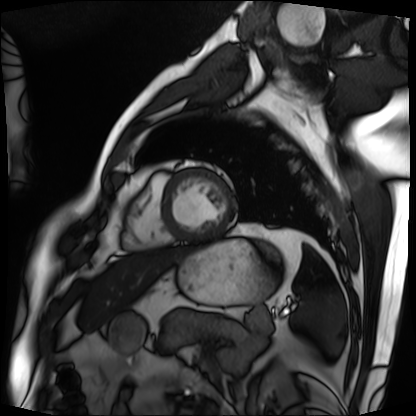
Q: What kind of scan is this?
A: Cardiac MRI.
Subject group: patient.